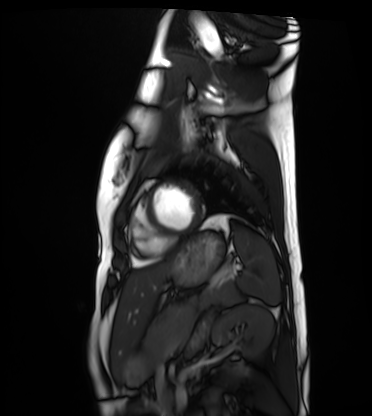
Cardiac MRI. Subject group: healthy volunteer.